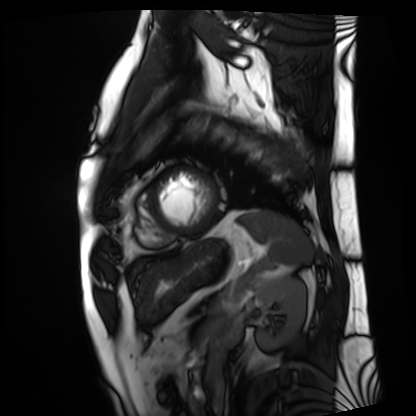
Clinical context: Cardiac MRI. Subject group: patient.